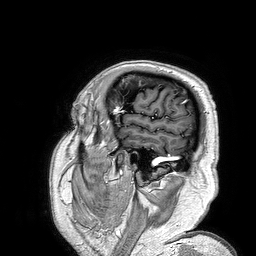
modality:
  type: brain MRI
  field_strength: 3T
series: 3D T1-weighted turbo field echo
study_topic: ring-enhancing brain masses